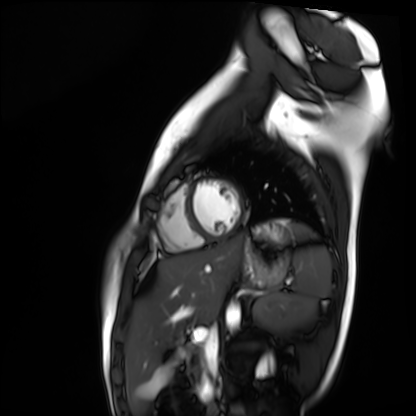
* modality — cardiac MR image of the myocardium
* subject cohort — healthy volunteer